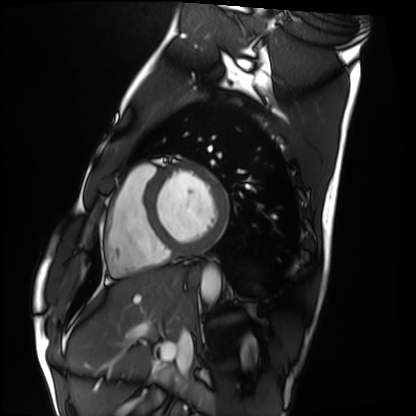
Clinical context:
Cardiac MRI. Subject group: healthy volunteer.